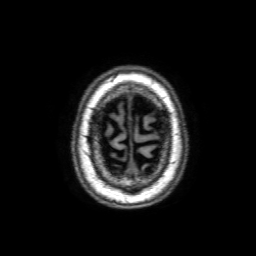
modality:
  type: brain MRI
  field_strength: 3T
series: 3D T1-weighted with SENSE
study_topic: ring-enhancing brain masses